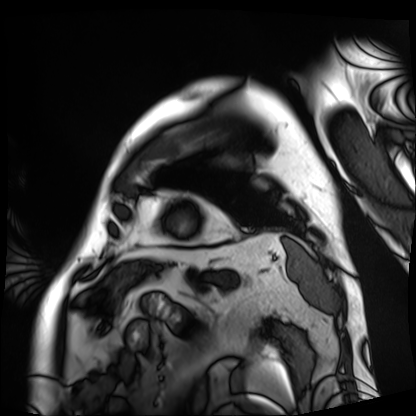
modality: cardiac MRI
cohort: patient